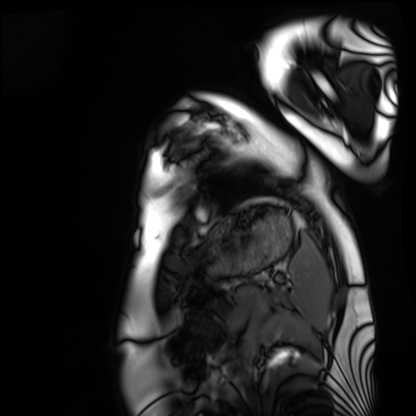
Cardiac MRI. Subject group: healthy volunteer.